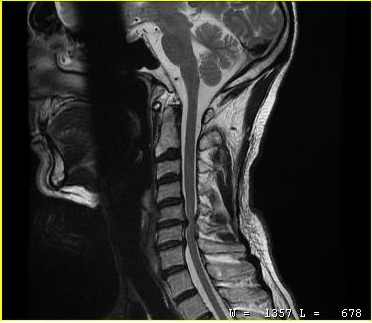
* modality · MRI of the cervical spine
* study · cervical spondylosis